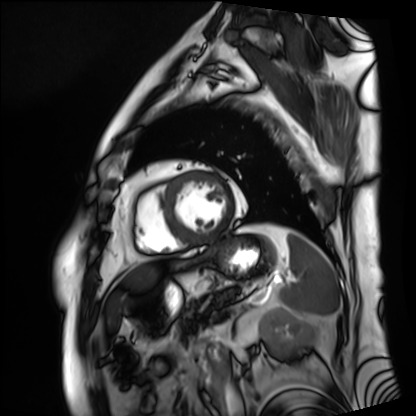
Cardiac MRI. Subject group: patient.